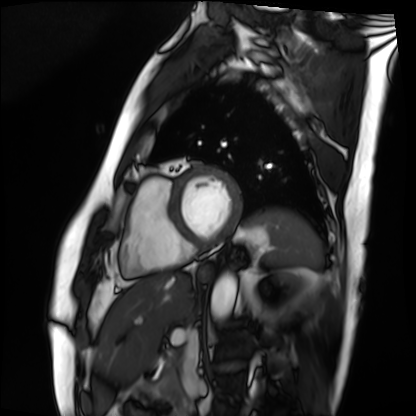
  modality: cardiac MRI
  cohort: patient